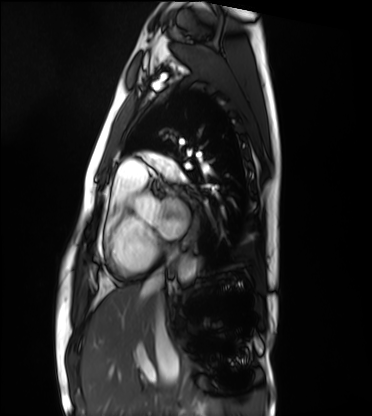
Clinical context:
Cardiac MRI. Subject group: healthy volunteer.